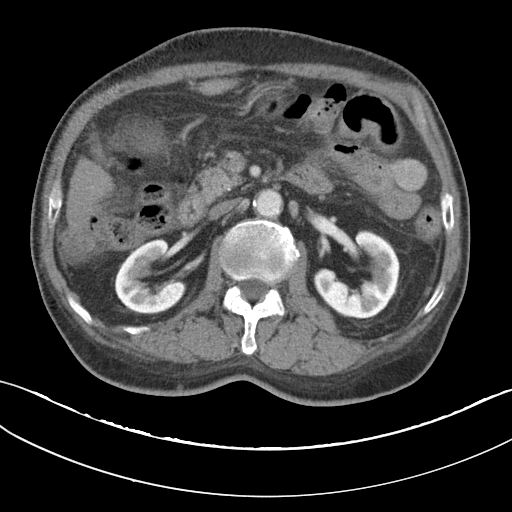
  modality:
    type: multiphase abdominal CT
    region: liver
    phase: portal venous
  patient:
    sex: male
    age: 68